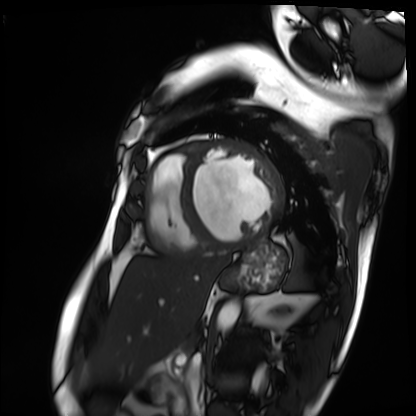
Summary: Cardiac MRI. Subject group: patient.